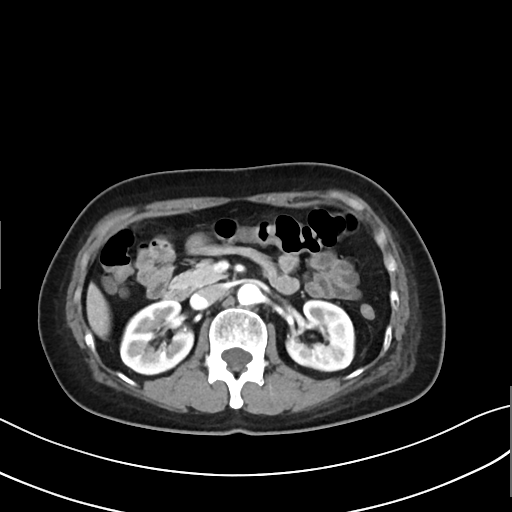
Case summary:
Multiphase abdominal CT, liver, arterial phase. Patient: female, age 54. History: prior chemotherapy.